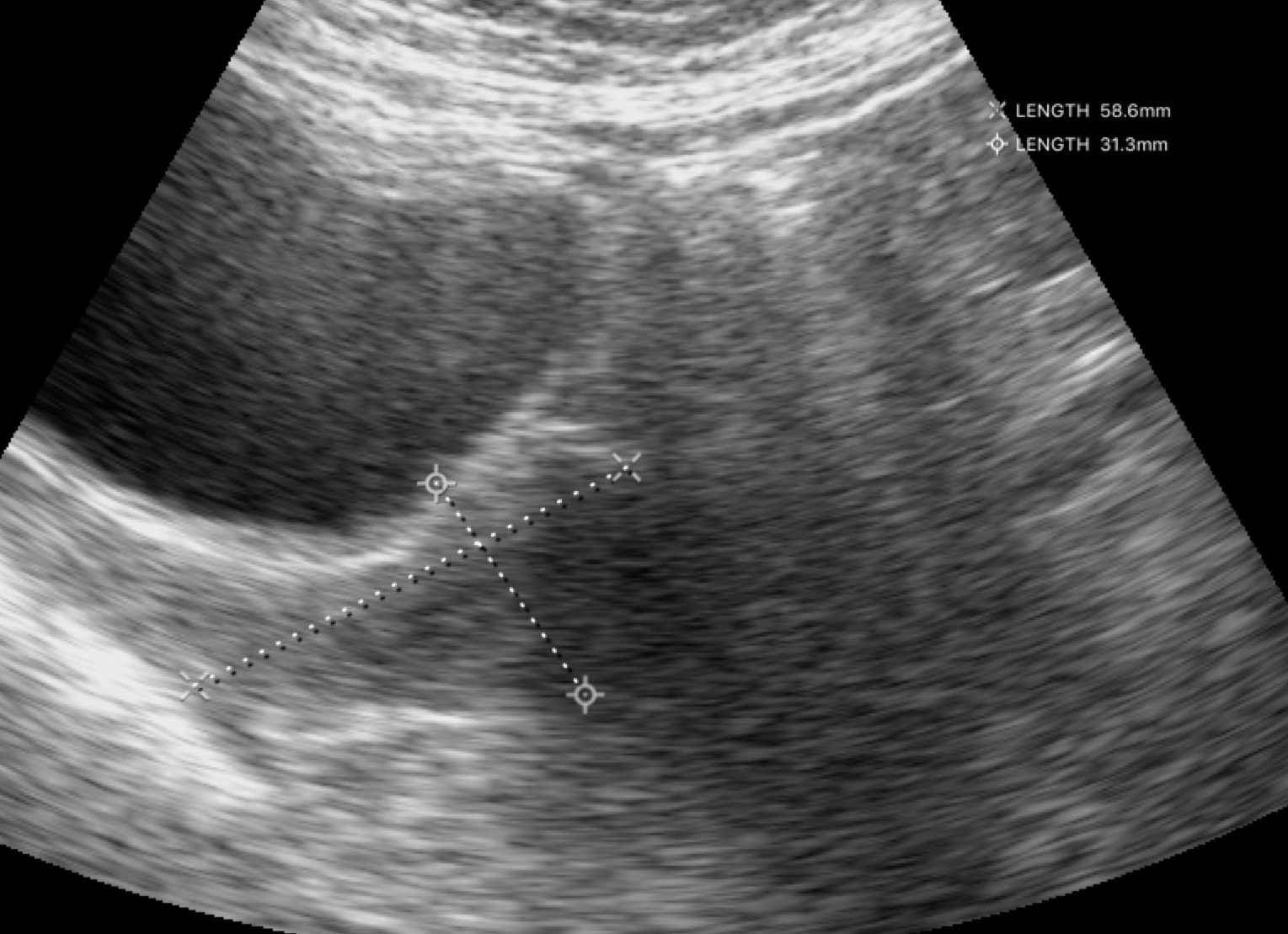
{"modality": {"type": "genitourinary ultrasound"}}